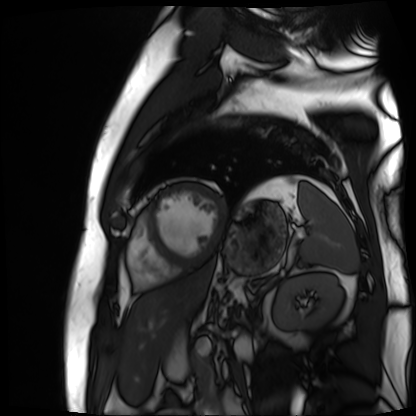
Cardiac MR image of the myocardium. Subject cohort: cardiac patient.